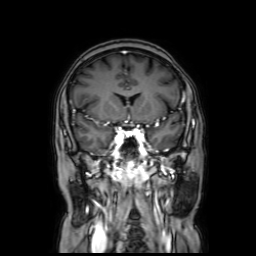
3 Tesla brain MRI.
Series: coronal with contrast.
Study: ring-enhancing brain masses.